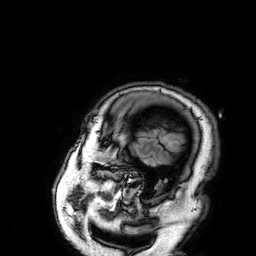
3 Tesla brain MRI. Series: 3D T1-weighted. Study: ring-enhancing brain masses.